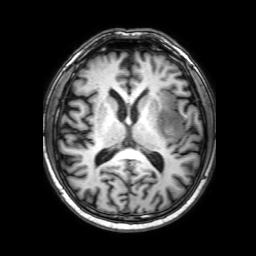
Summary:
3 Tesla brain MRI. Study: ring-enhancing brain masses.